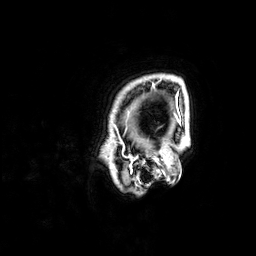
| field | value |
|---|---|
| modality | 3 Tesla brain MRI |
| series | 3D T1-weighted |
| study | ring-enhancing brain masses |